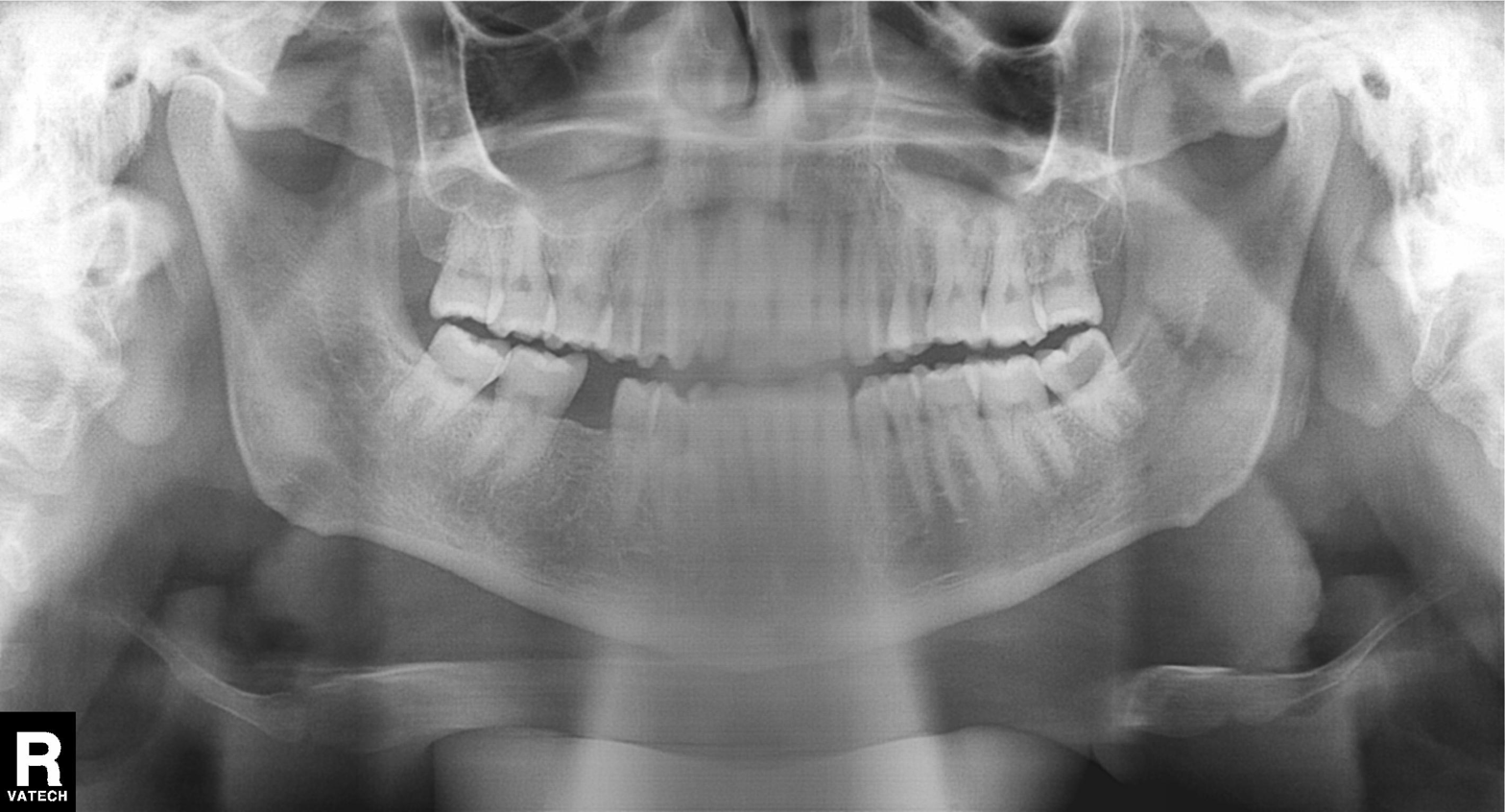
Case summary:
Panoramic dental radiograph (orthopantomogram).
Diagnosis:
Tooth impaction.